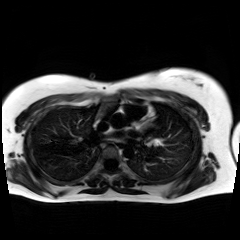
Case:
• modality · chemical-shift-encoded cardiac MRI